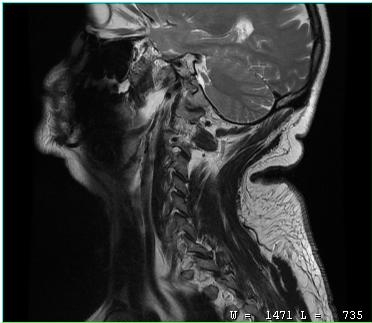
– modality: MRI of the cervical spine
– study: cervical spondylosis